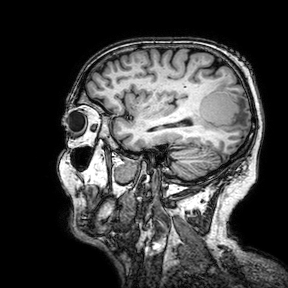
modality = 3 Tesla brain MRI | series = 3D T1-weighted turbo field echo with SENSE | study = ring-enhancing brain masses.